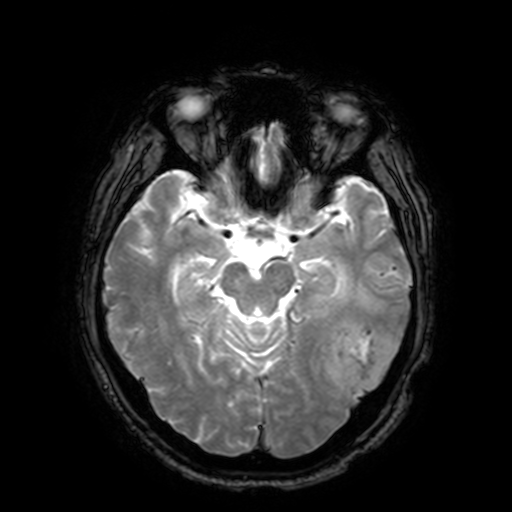
Case:
– modality · 3 Tesla brain MRI
– series · T2-weighted fast field echo with SENSE
– study · ring-enhancing brain masses